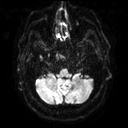
3 Tesla brain MRI. Series: diffusion tensor imaging (medium iso). Study: ring-enhancing brain masses.